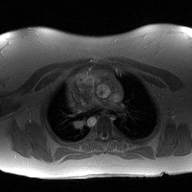
{
  "modality": {
    "type": "2D phase-contrast cine MRI",
    "region": "ascending aorta",
    "reconstruction": "high-resolution GRAPPA acquisition"
  }
}